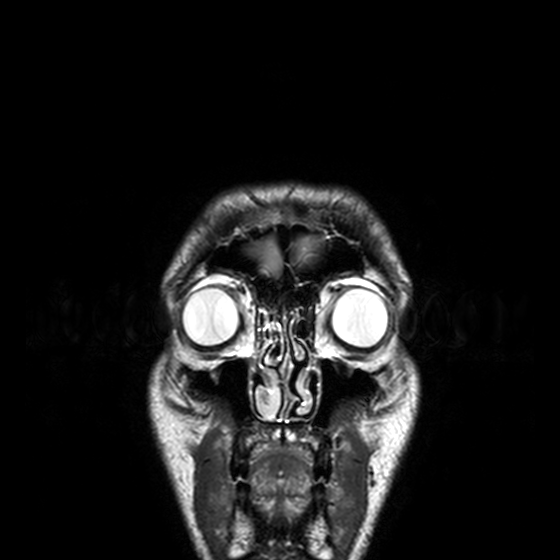
3 Tesla brain MRI. Series: T2-weighted turbo spin echo, 3 mm. Study: ring-enhancing brain masses.